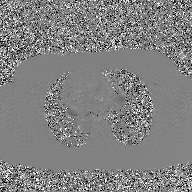
| field | value |
|---|---|
| modality | 2D phase-contrast cine MRI of the ascending aorta, GAN super-resolution reconstruction |